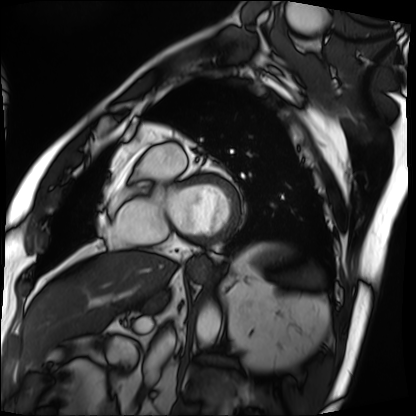
modality = cardiac MRI, subject group = patient.